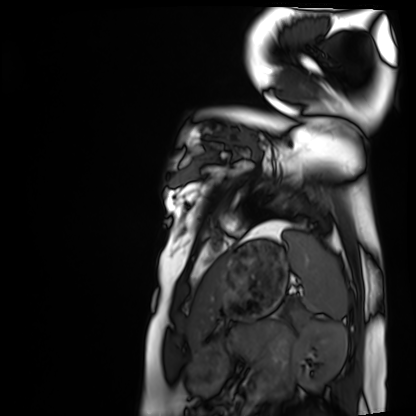
Summary: Cardiac MRI. Subject group: healthy volunteer.